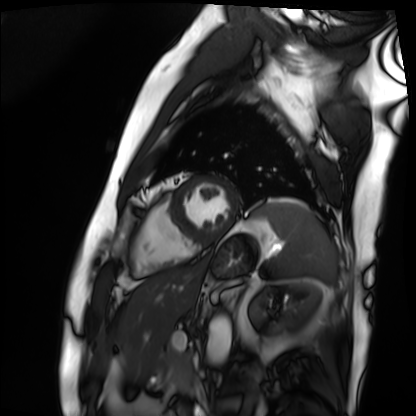
{"modality": "cardiac MRI", "cohort": "patient"}